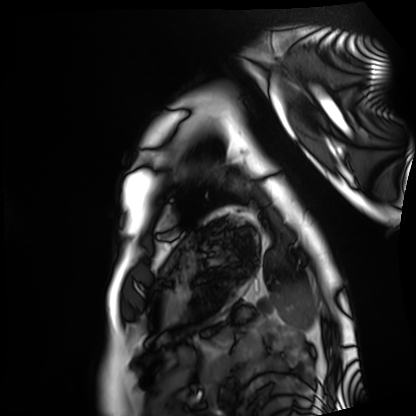
Cardiac MRI. Subject group: healthy volunteer.